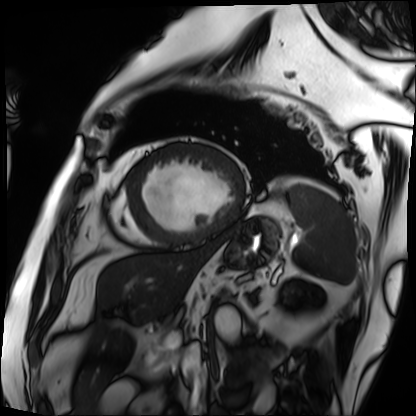
modality: cardiac MRI | subject group: patient.